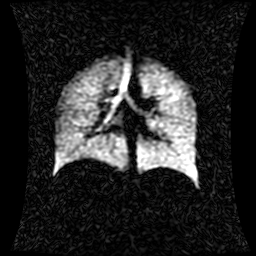
Hyperpolarized 129Xe ventilation MRI of the lungs.
SNR level 1 of 8 (the deposit holds this scan as its native image and as seven SNR-degraded versions).